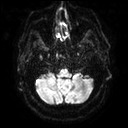
3 Tesla brain MRI. Series: diffusion tensor imaging (medium iso). Study: ring-enhancing brain masses.